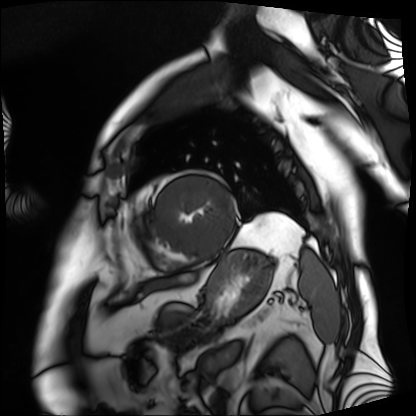
Cardiac MRI. Subject group: patient.